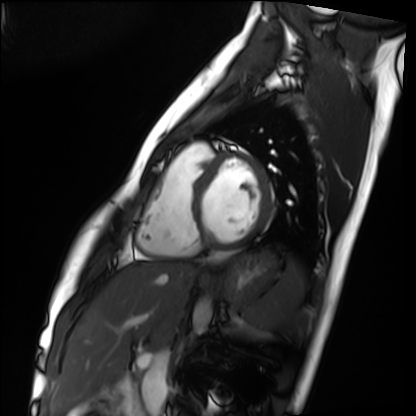
modality: cardiac MRI | subject group: healthy volunteer.